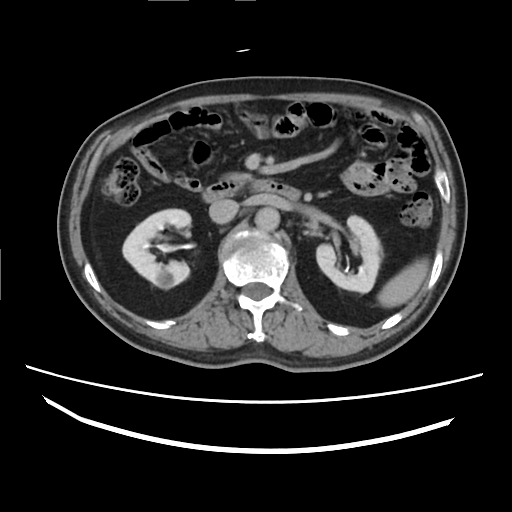
modality = multiphase abdominal CT, liver, delayed phase
patient = male, age 61
history = cirrhosis, viral hepatitis, prior chemotherapy